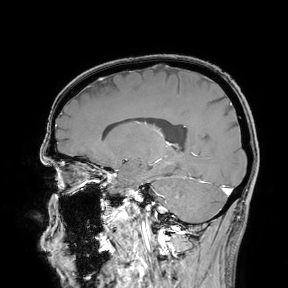
3 Tesla brain MRI. Study: ring-enhancing brain masses.